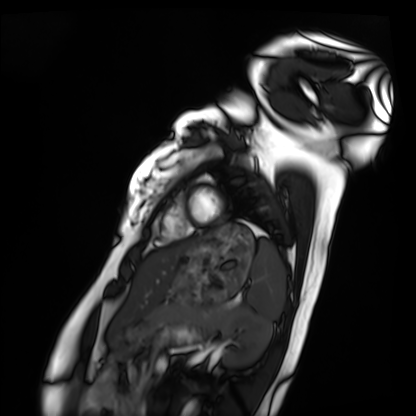
modality — cardiac MRI | subject group — healthy volunteer.